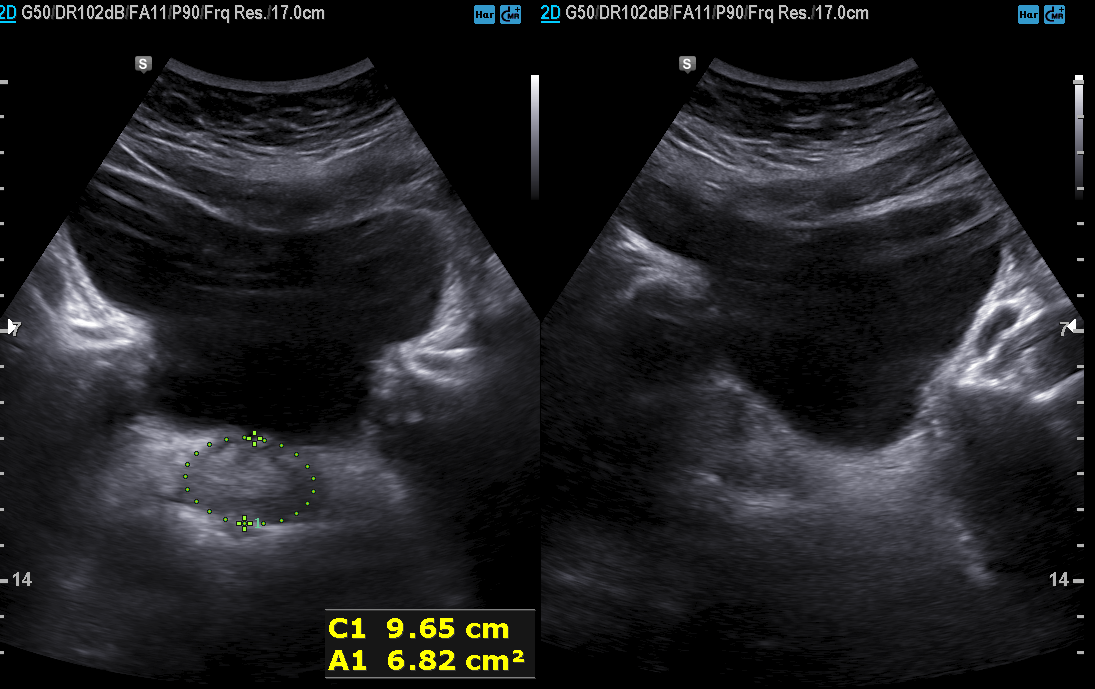
Q: What kind of scan is this?
A: Genitourinary ultrasound.